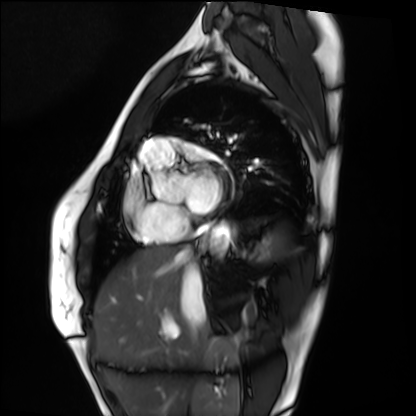
Clinical context:
Cardiac MRI. Subject group: healthy volunteer.